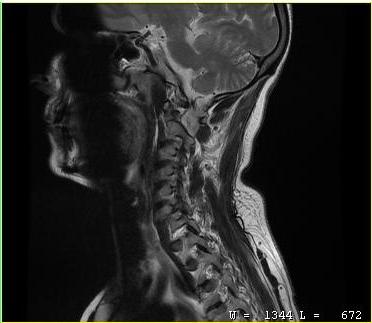
MRI of the cervical spine.
Study: cervical spondylosis.